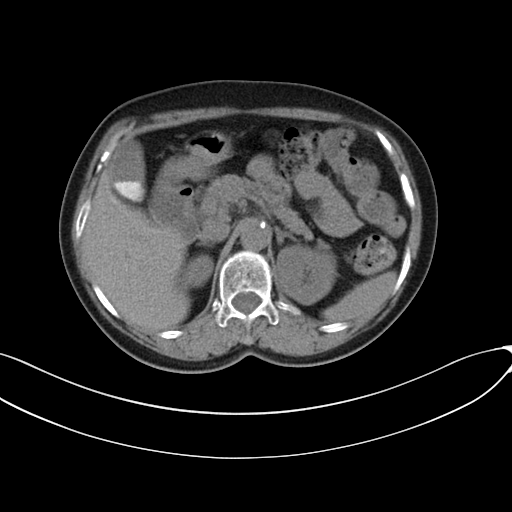
Multiphase abdominal CT, liver, non-contrast phase. Patient: female, age 89. History: prior chemotherapy.